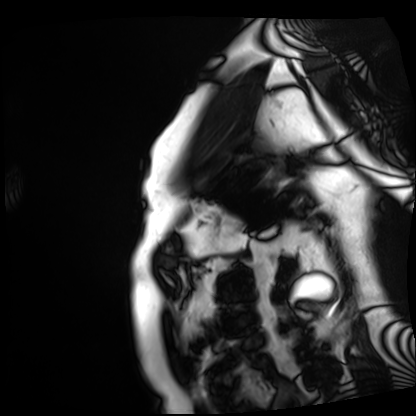
* modality · cardiac MRI
* subject group · patient